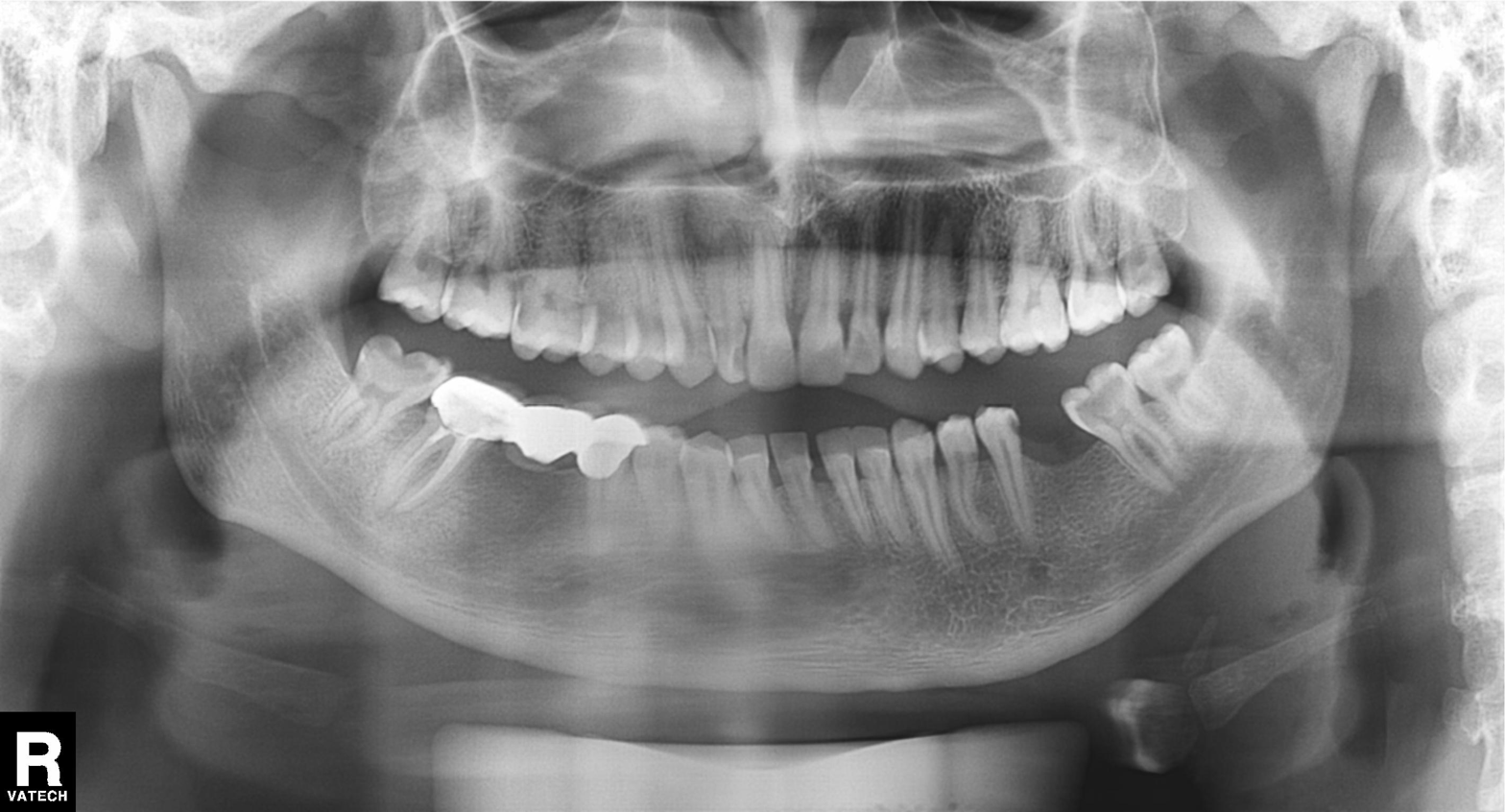
Q: What kind of scan is this?
A: Panoramic dental radiograph (orthopantomogram).
Q: What is the radiographic finding?
A: Dental caries (cavities).